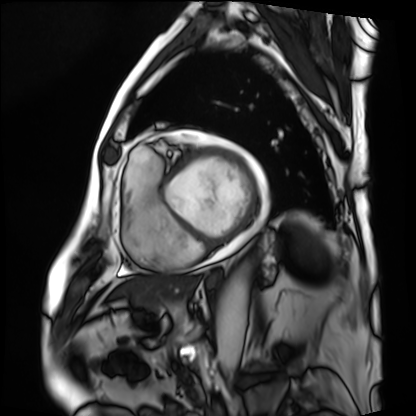
modality: cardiac MRI | subject group: patient.